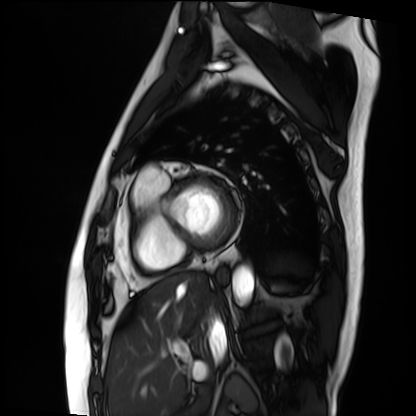
Q: What kind of scan is this?
A: Cardiac MRI.
Subject group: patient.